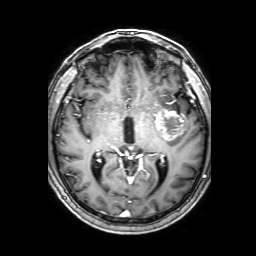
modality: 3 Tesla brain MRI
series: 3D T1-weighted with SENSE
study: ring-enhancing brain masses